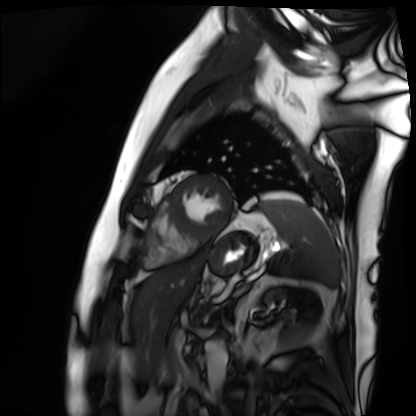
Cardiac MRI. Subject group: patient.